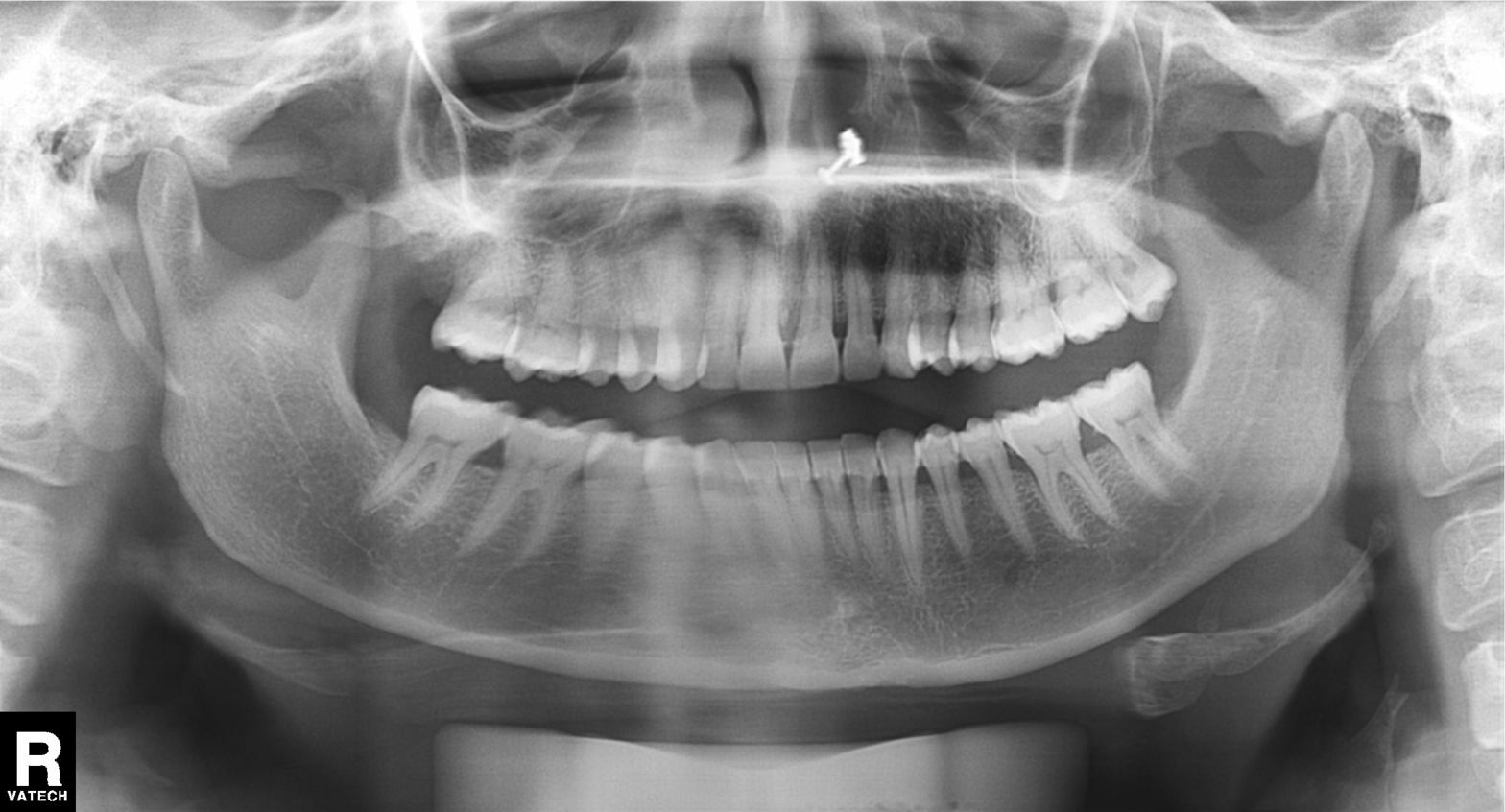
Q: What kind of scan is this?
A: Panoramic dental radiograph (orthopantomogram).
Q: What is the radiographic finding?
A: Dental caries (cavities).